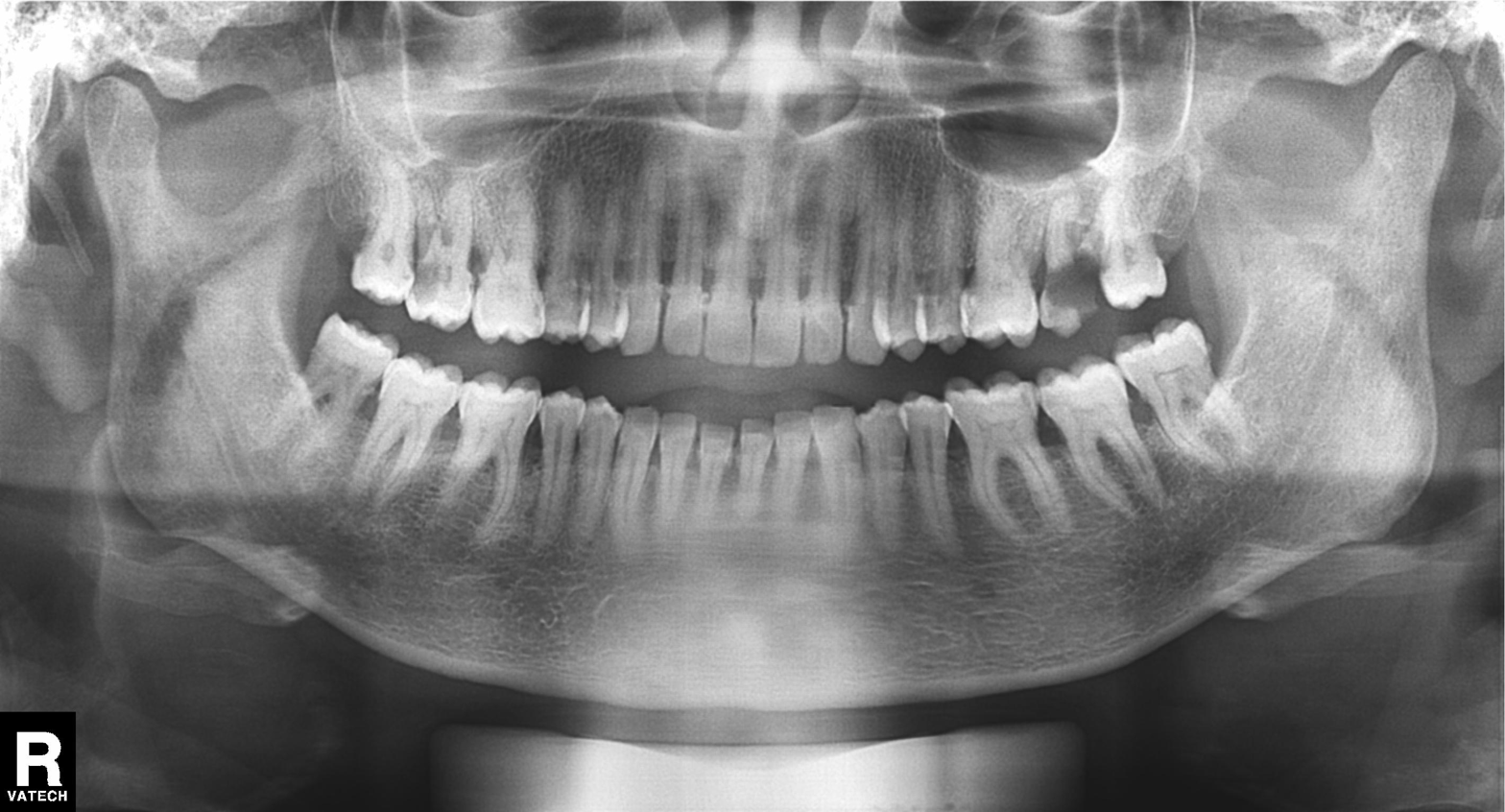
{
  "modality": "panoramic dental radiograph (orthopantomogram)",
  "finding": "alveolar bone loss"
}